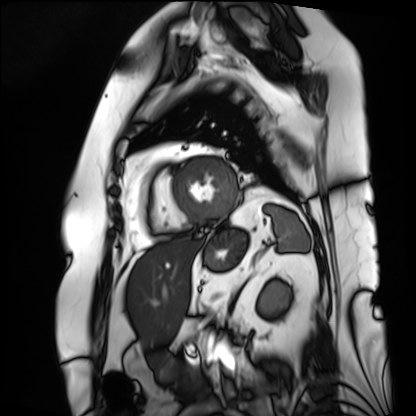
Q: What kind of scan is this?
A: Cardiac MRI.
Subject group: patient.